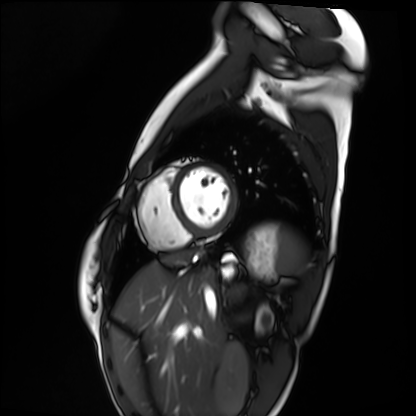
Cardiac MRI.
Subject group: healthy volunteer.